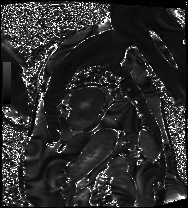
Cardiac MRI. Subject group: patient.